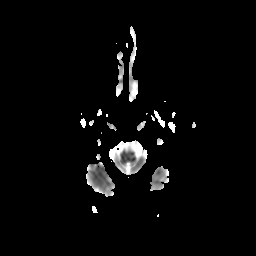
3 Tesla brain MRI. Series: diffusion-weighted imaging with CLEAR. Study: ring-enhancing brain masses.